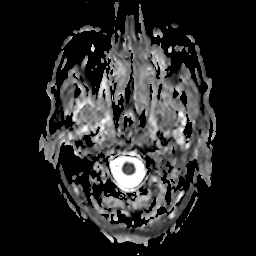
3 Tesla brain MRI.
Series: apparent diffusion coefficient (ADC) map.
Study: ring-enhancing brain masses.